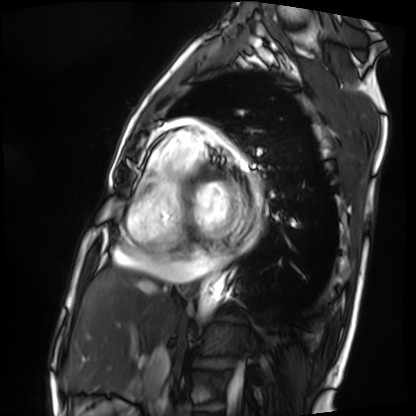
| field | value |
|---|---|
| modality | cardiac MRI |
| subject group | patient |